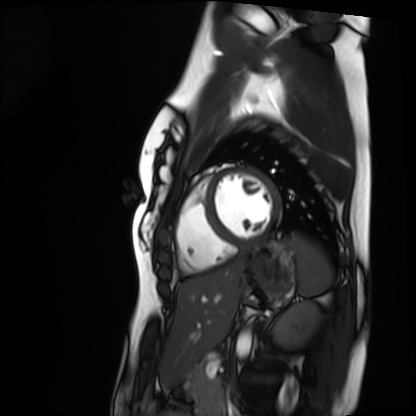
modality: cardiac MRI, subject group: healthy volunteer.